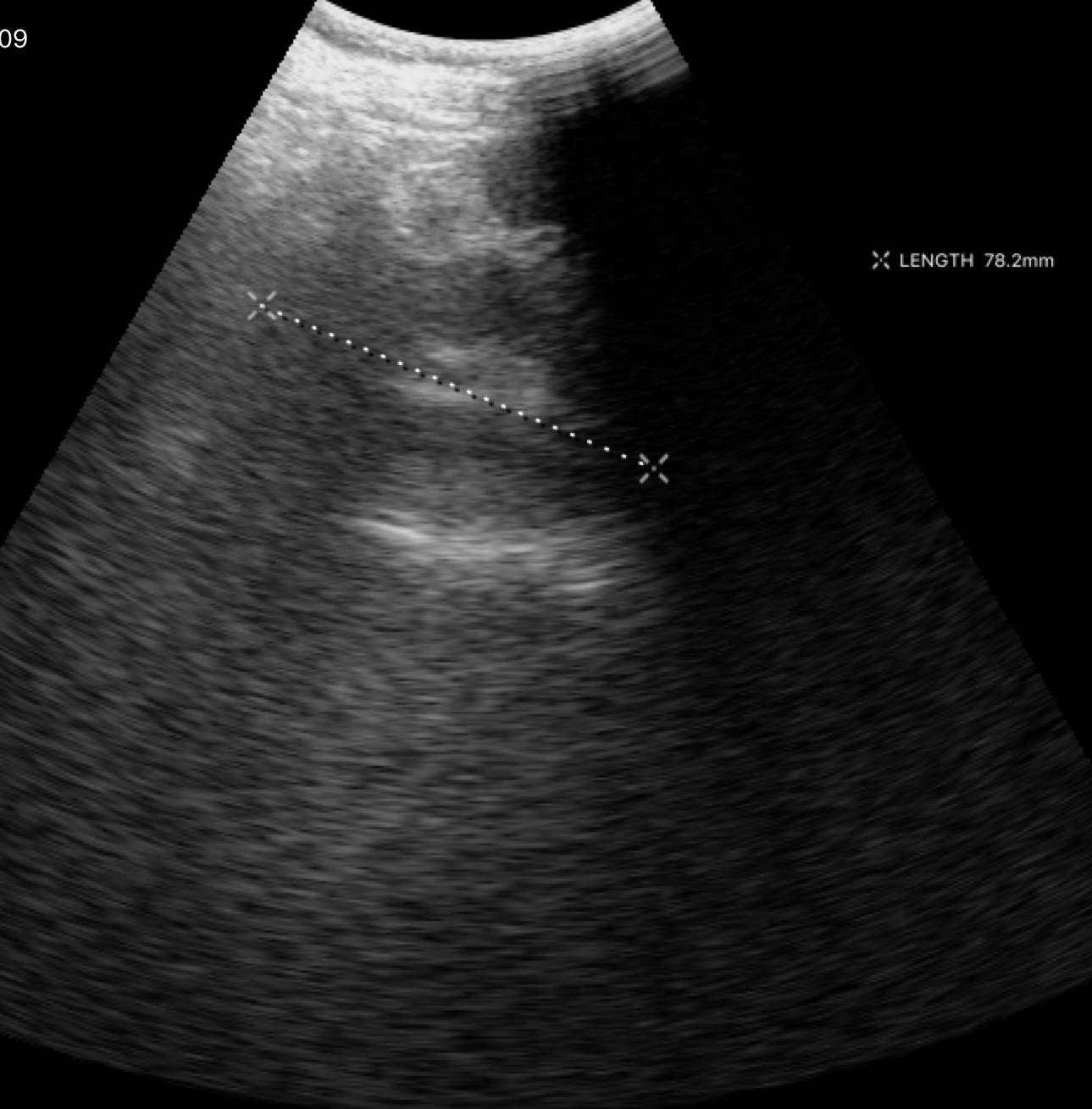
<case>
<modality>
  <type>genitourinary ultrasound</type>
</modality>
</case>